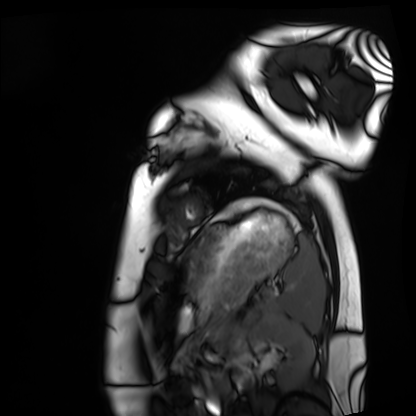
• modality — cardiac MRI
• subject group — healthy volunteer